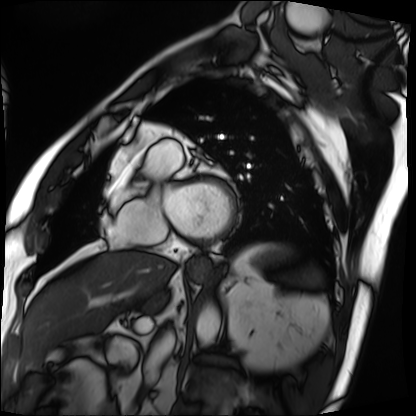
Summary: Cardiac MRI. Subject group: patient.